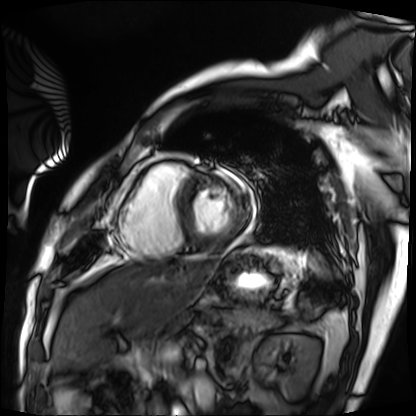
modality = cardiac MRI
subject group = patient